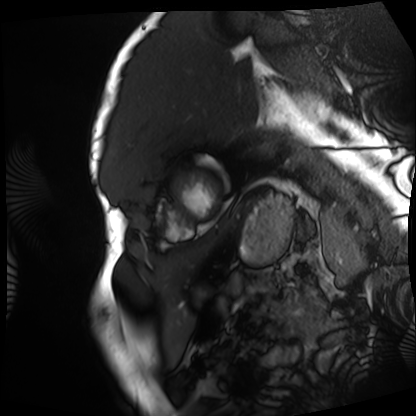
Clinical context: Cardiac MRI. Subject group: patient.